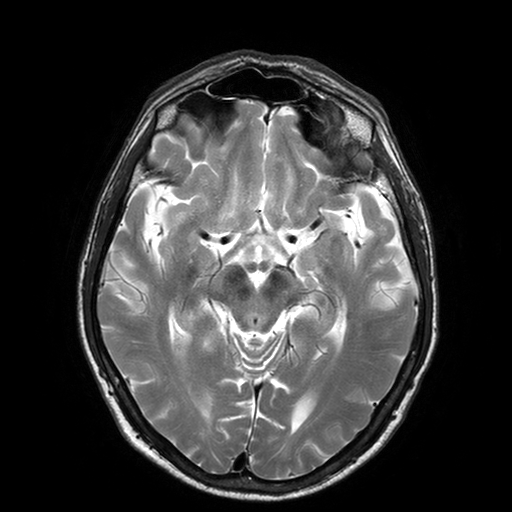
3 Tesla brain MRI. Series: T2-weighted turbo spin echo with SENSE. Study: ring-enhancing brain masses.